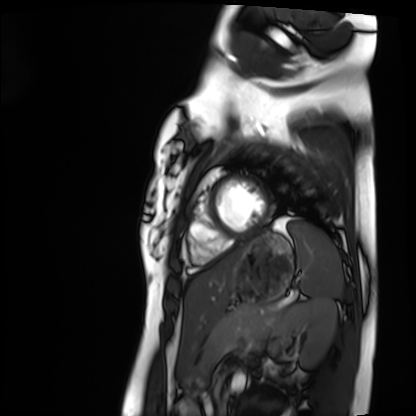
Q: What kind of scan is this?
A: Cardiac MRI.
Subject group: healthy volunteer.